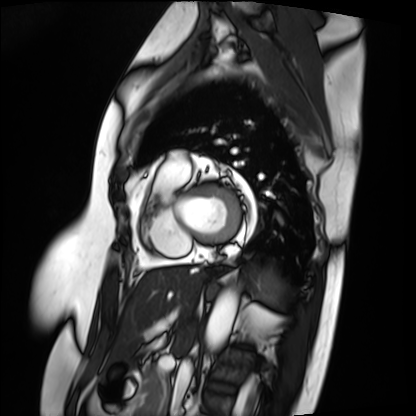
* modality: cardiac MRI
* subject group: patient